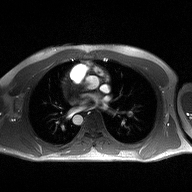
2D phase-contrast cine MRI of the ascending aorta, high-resolution GRAPPA acquisition.